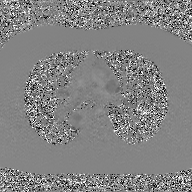
Case:
* modality: 2D phase-contrast cine MRI of the ascending aorta, GAN super-resolution reconstruction